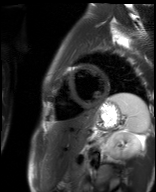
Q: What kind of scan is this?
A: Cardiac MR image of the myocardium.
Subject cohort: healthy volunteer.